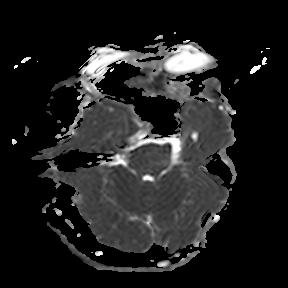
Summary:
3 Tesla brain MRI. Series: apparent diffusion coefficient (ADC) map. Study: ring-enhancing brain masses.